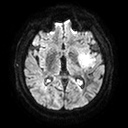
modality: 3 Tesla brain MRI | series: diffusion tensor imaging (medium iso) | study: ring-enhancing brain masses.